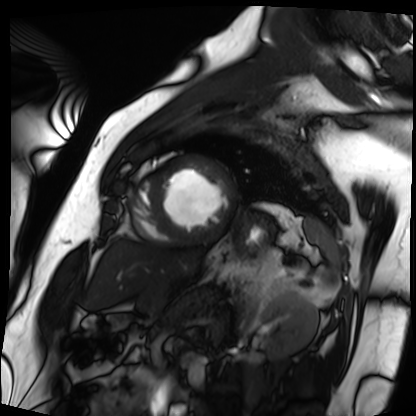
Summary:
Cardiac MRI. Subject group: patient.